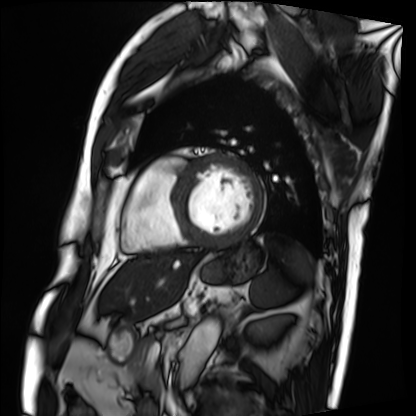
Cardiac MRI. Subject group: patient.